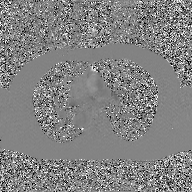
modality — 2D phase-contrast cine MRI of the ascending aorta, GAN super-resolution reconstruction.